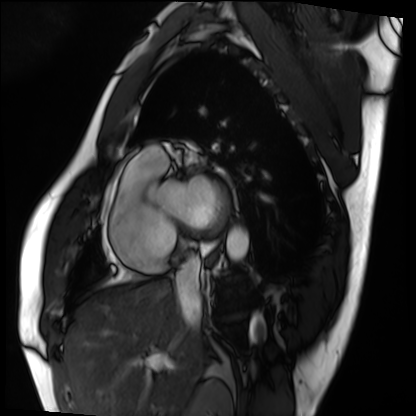
Cardiac MRI.
Subject group: patient.